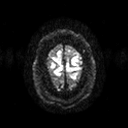
- modality: 3 Tesla brain MRI
- series: diffusion tensor imaging (medium iso)
- study: ring-enhancing brain masses